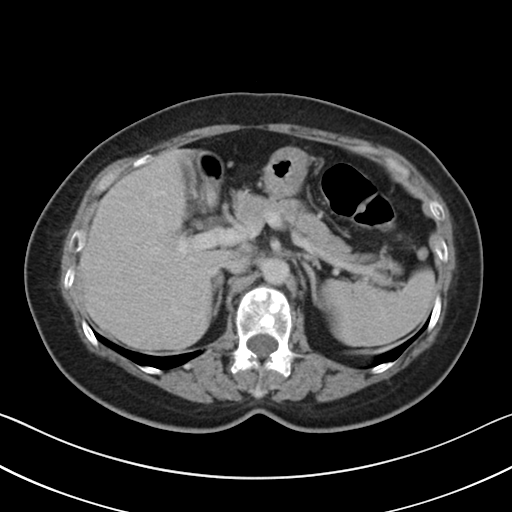
{
  "modality": {
    "type": "multiphase abdominal CT",
    "region": "liver",
    "phase": "delayed"
  },
  "patient": {
    "sex": "female",
    "age": 62
  },
  "history": [
    "prior chemotherapy"
  ]
}